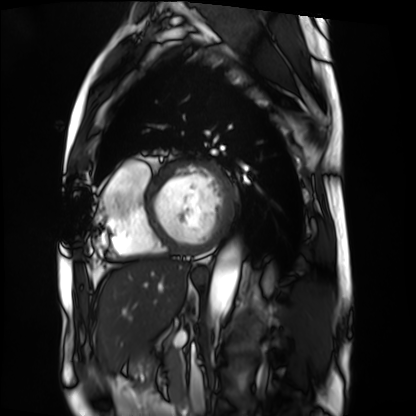
{"modality": "cardiac MRI", "cohort": "patient"}